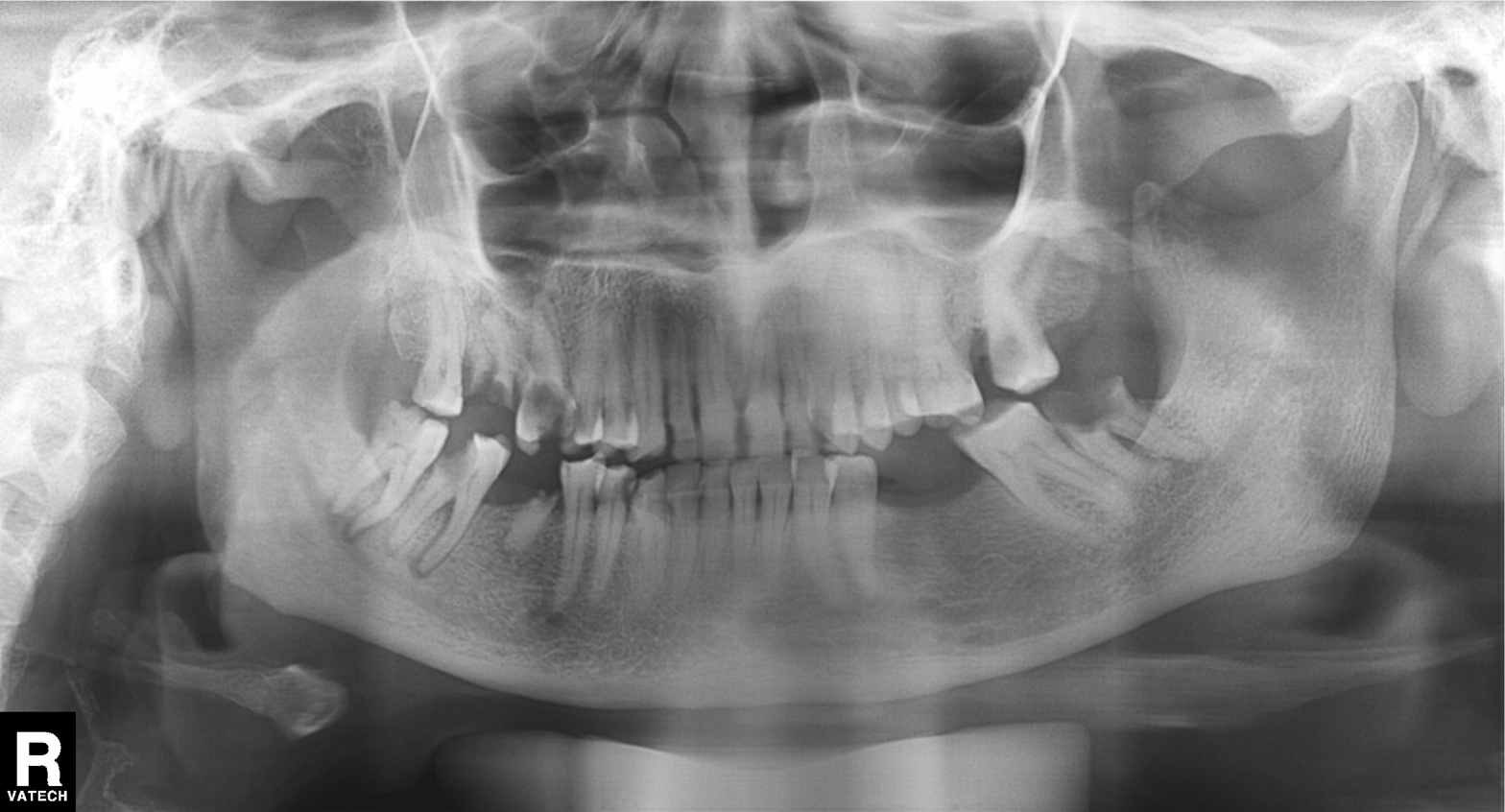
modality — panoramic dental radiograph (orthopantomogram)
finding — tooth impaction